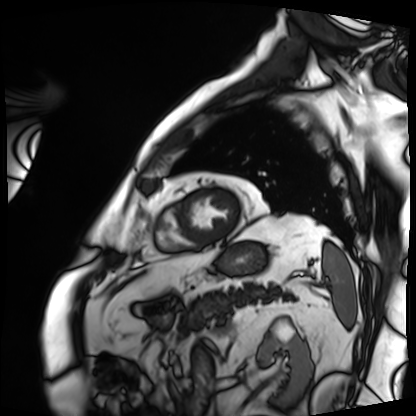
Q: What kind of scan is this?
A: Cardiac MRI.
Subject group: patient.